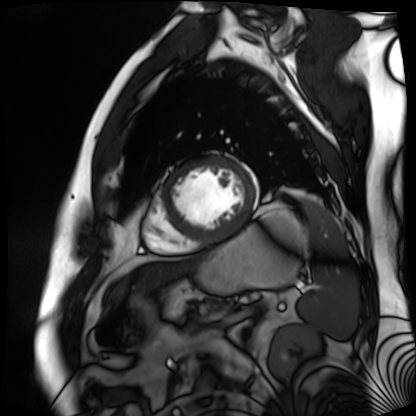
modality = cardiac MR image of the myocardium; subject cohort = cardiac patient.